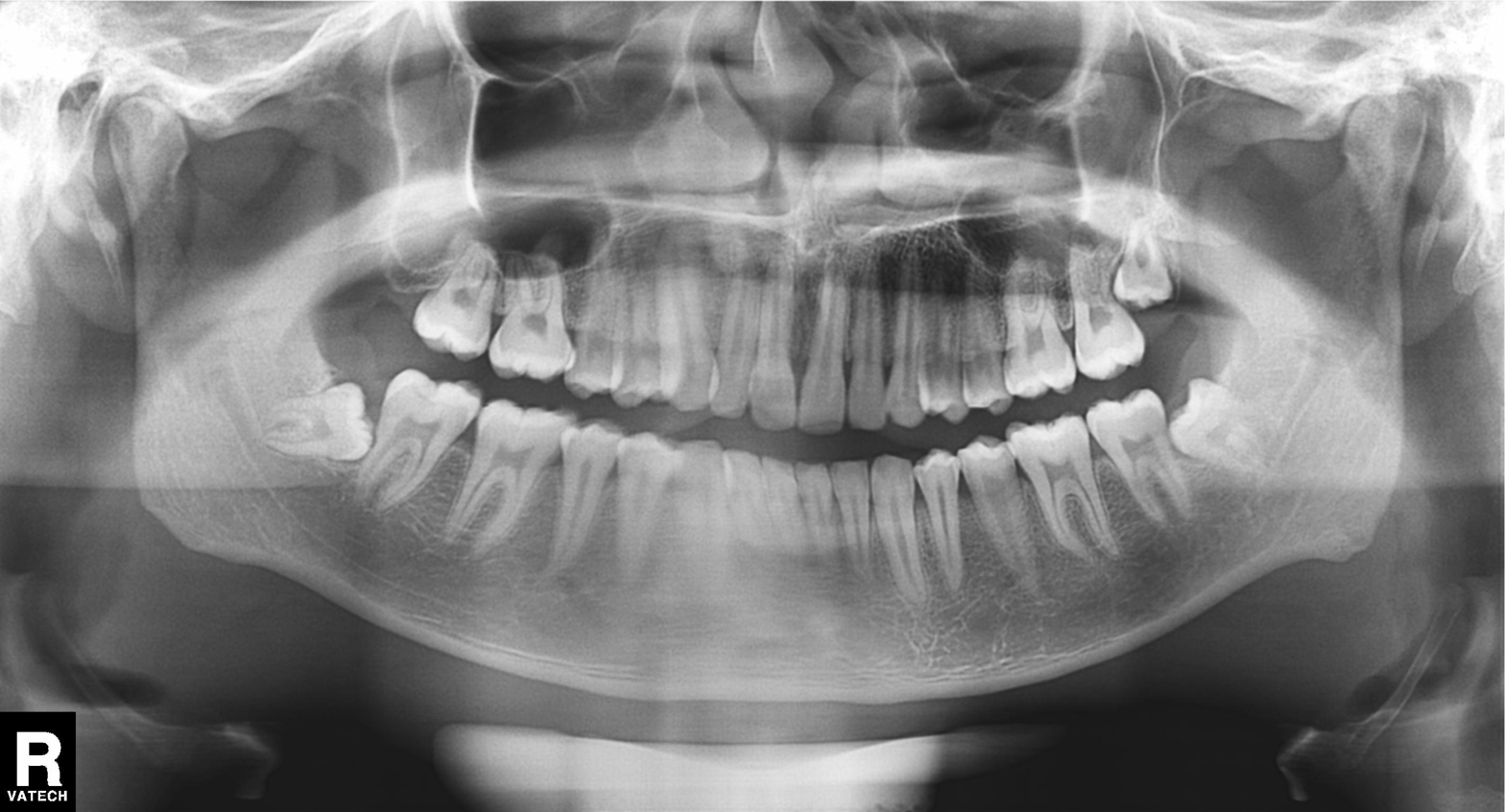
Q: What kind of scan is this?
A: Panoramic dental radiograph (orthopantomogram).
Q: What is the radiographic finding?
A: Tooth impaction.